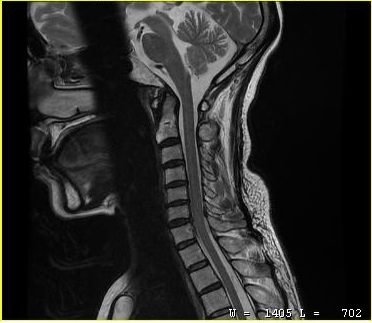
modality = MRI of the cervical spine
study = cervical spondylosis